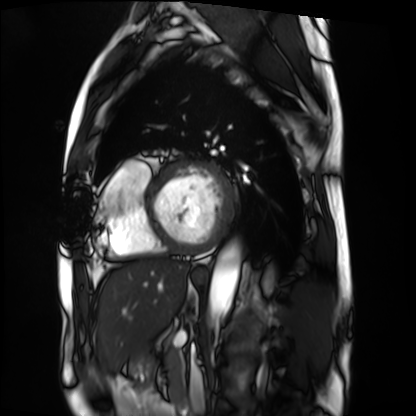
• modality: cardiac MRI
• subject group: patient